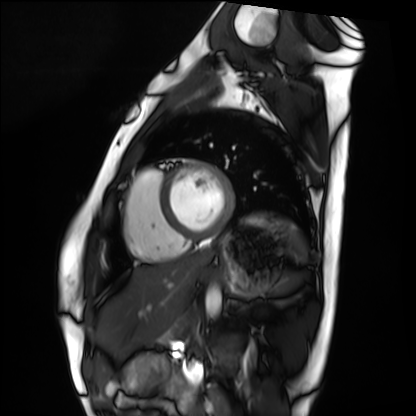
Case summary:
Cardiac MRI. Subject group: healthy volunteer.